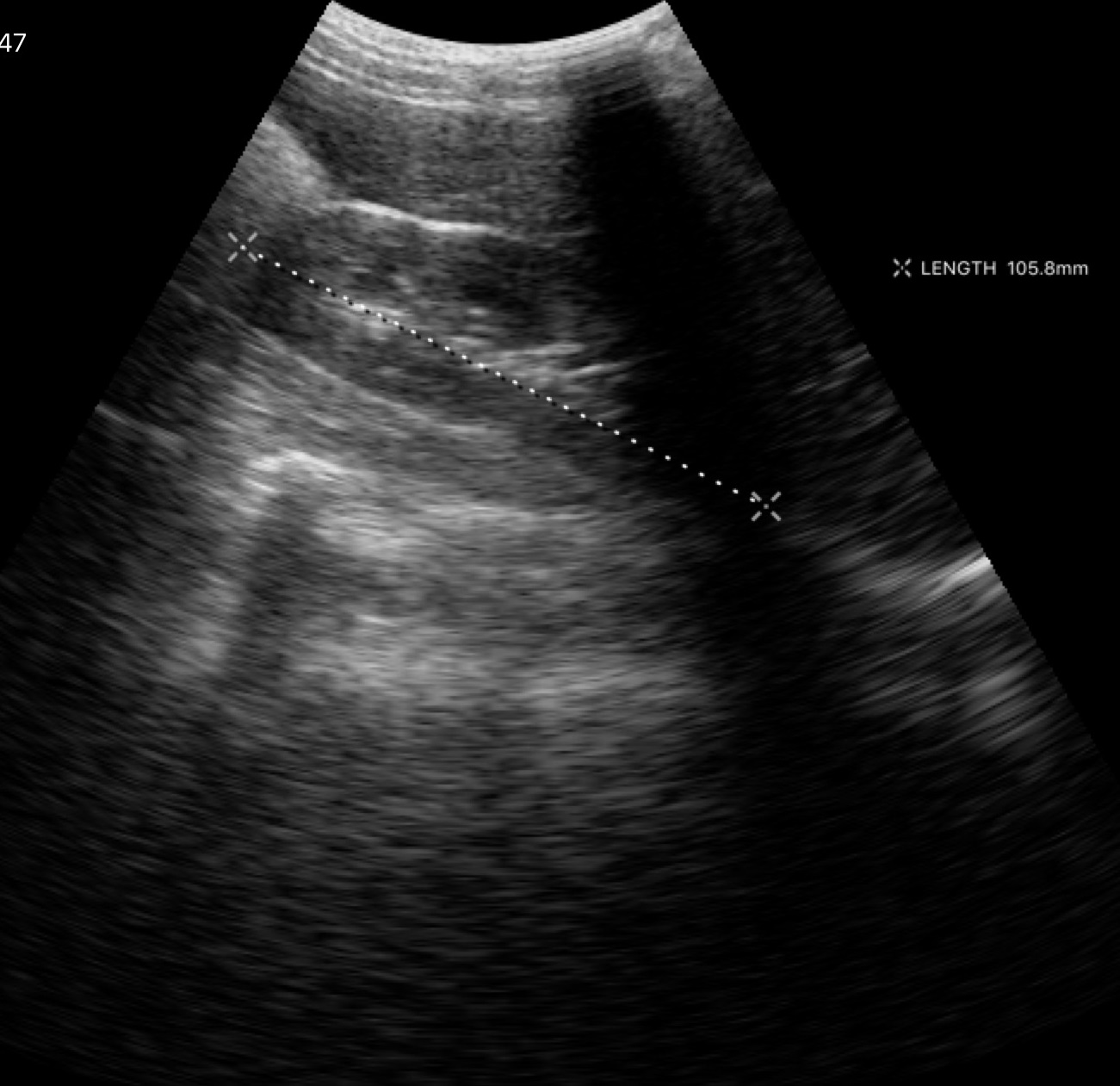
<study>
<modality>
  <type>genitourinary ultrasound</type>
</modality>
</study>